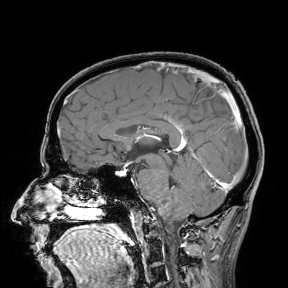
– modality — 3 Tesla brain MRI
– study — ring-enhancing brain masses